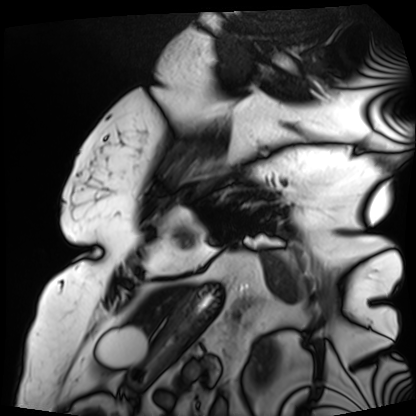
Summary: Cardiac MRI. Subject group: patient.